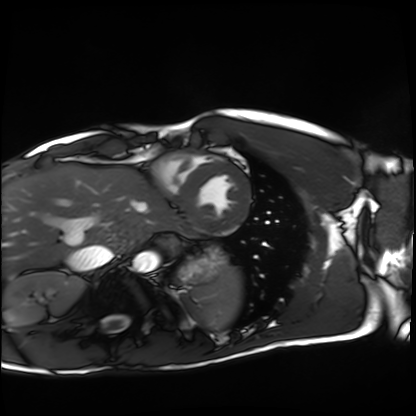
Q: What kind of scan is this?
A: Cardiac MRI.
Subject group: healthy volunteer.